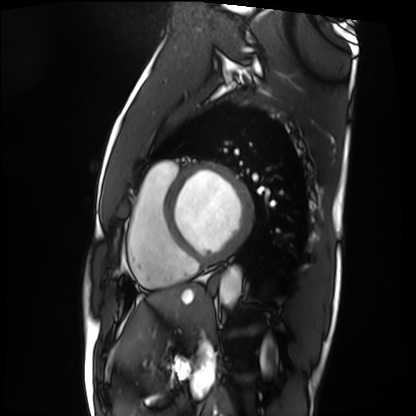
Cardiac MRI. Subject group: patient.